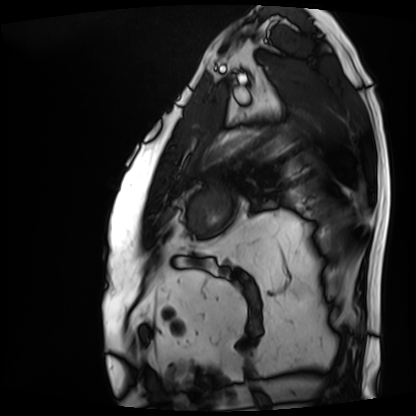
| field | value |
|---|---|
| modality | cardiac MRI |
| subject group | patient |